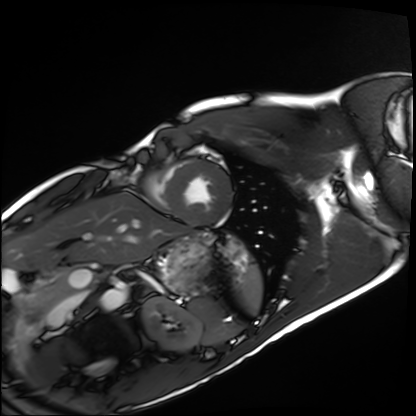
Q: What kind of scan is this?
A: Cardiac MRI.
Subject group: healthy volunteer.